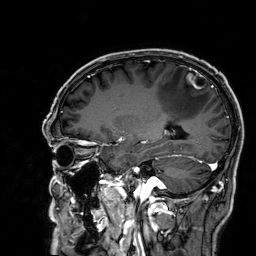
modality = 3 Tesla brain MRI
series = 3D T1-weighted
study = ring-enhancing brain masses